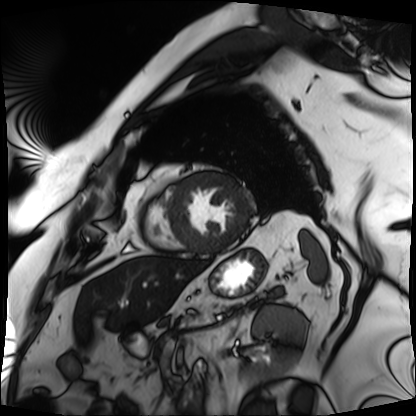
| field | value |
|---|---|
| modality | cardiac MRI |
| subject group | patient |